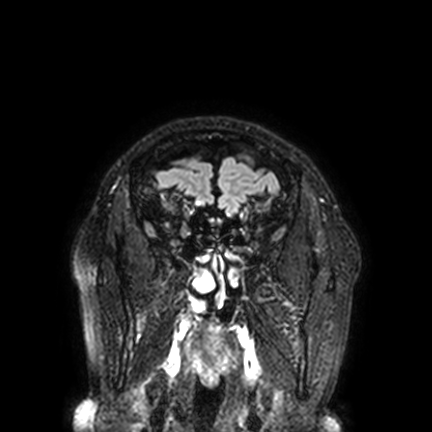
Clinical context:
3 Tesla brain MRI. Series: FLAIR VISTA with SENSE. Study: ring-enhancing brain masses.